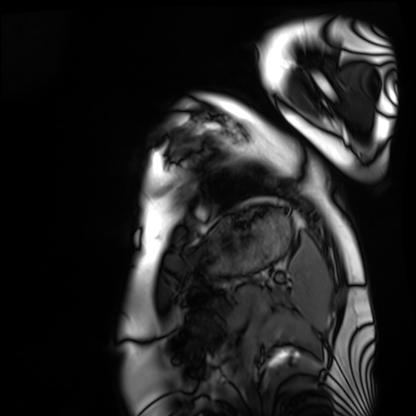
Cardiac MRI. Subject group: healthy volunteer.